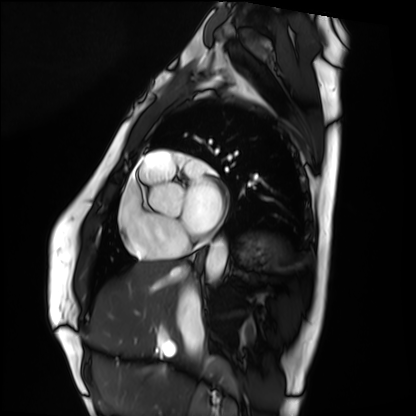
Summary: Cardiac MRI. Subject group: healthy volunteer.